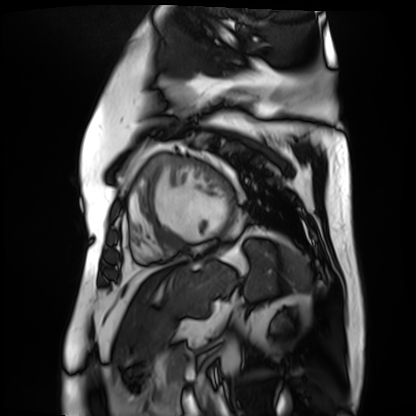
modality: cardiac MR image of the myocardium | subject cohort: cardiac patient.